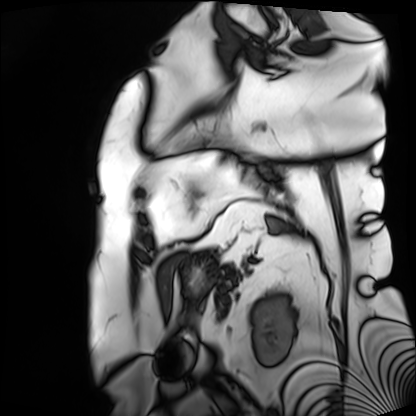
Cardiac MRI. Subject group: patient.